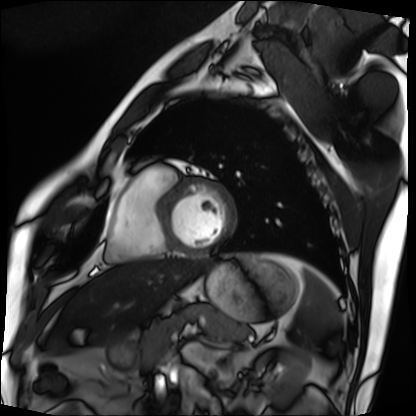
modality: cardiac MRI
cohort: patient